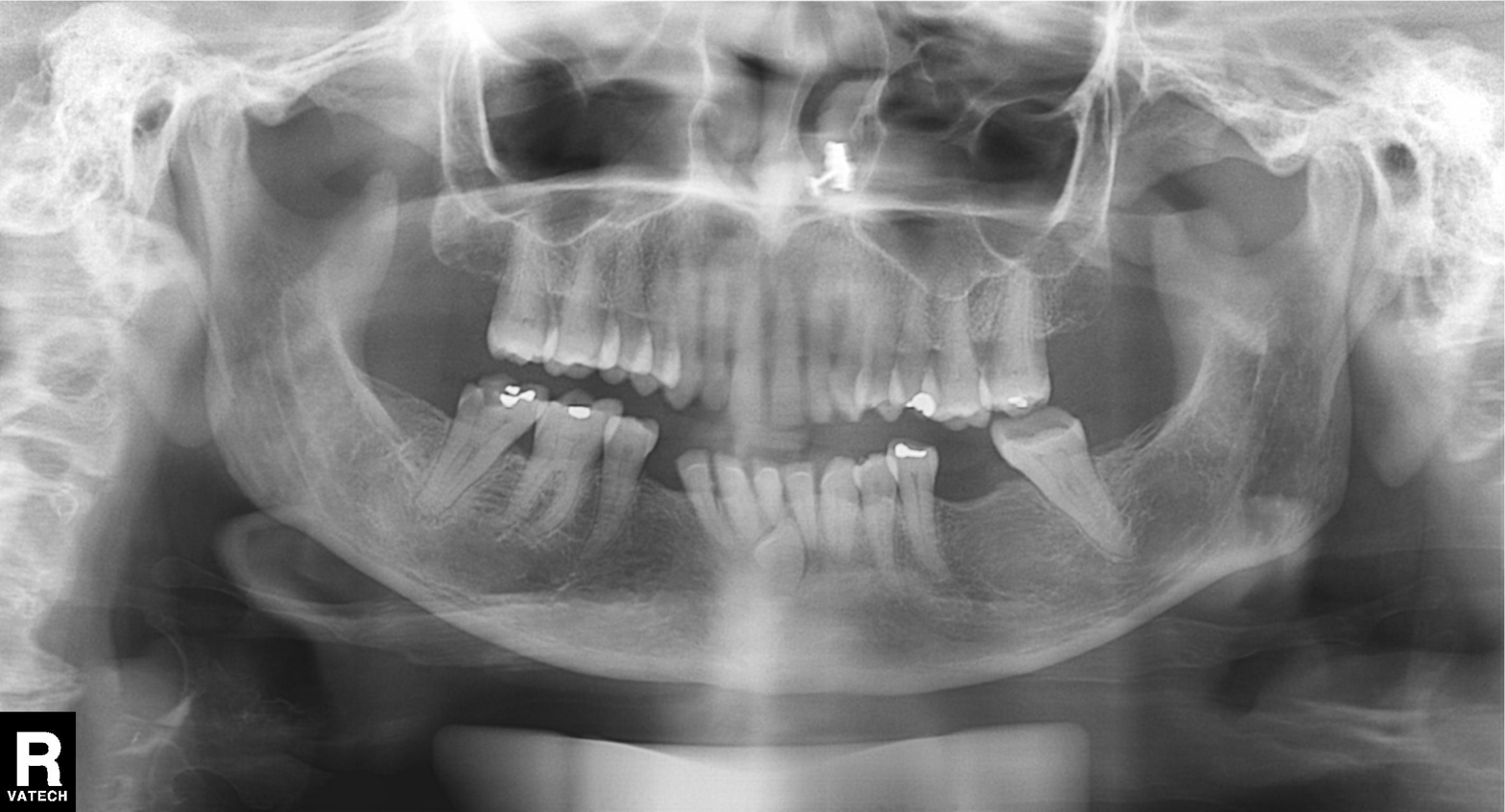
Q: What kind of scan is this?
A: Panoramic dental radiograph (orthopantomogram).
Q: What is the radiographic finding?
A: Dental caries (cavities).